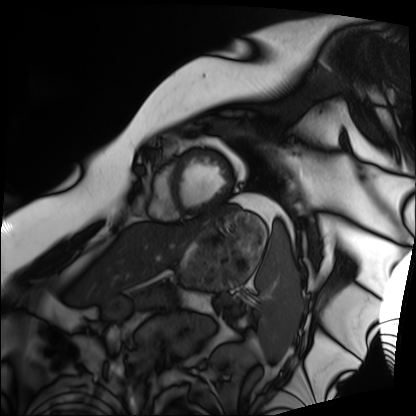
Cardiac MRI.
Subject group: patient.